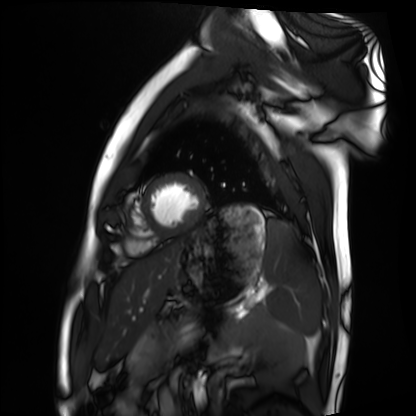
Case summary: Cardiac MRI. Subject group: healthy volunteer.